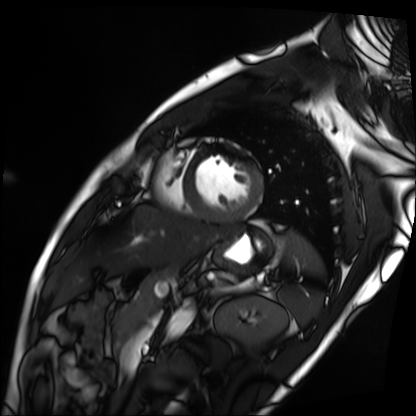
Clinical context:
Cardiac MRI. Subject group: patient.